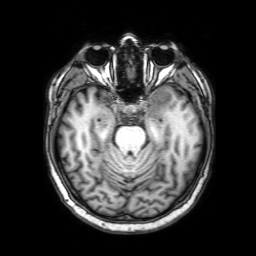
  modality:
    type: brain MRI
    field_strength: 3T
  study_topic: ring-enhancing brain masses